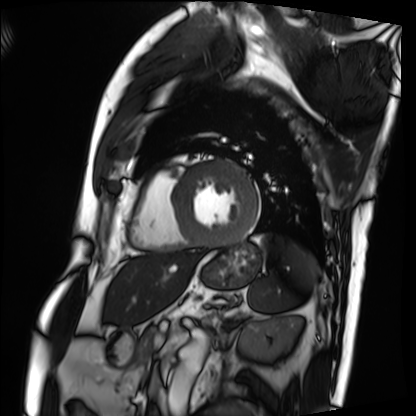
Q: What kind of scan is this?
A: Cardiac MRI.
Subject group: patient.